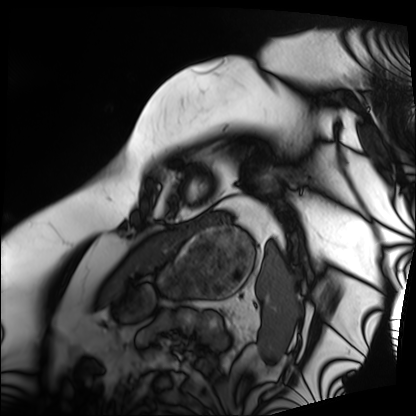
Q: What kind of scan is this?
A: Cardiac MRI.
Subject group: patient.